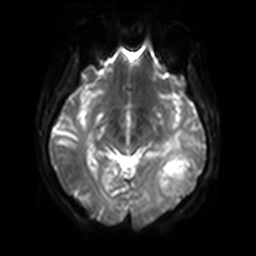
Summary:
3 Tesla brain MRI. Series: diffusion-weighted imaging with SENSE (WIP). Study: ring-enhancing brain masses.